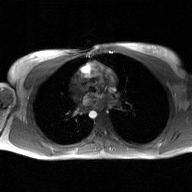
modality=2D phase-contrast cine MRI of the ascending aorta, GAN super-resolution reconstruction